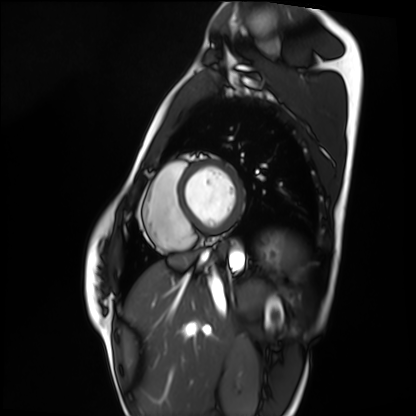
Clinical context: Cardiac MRI. Subject group: healthy volunteer.